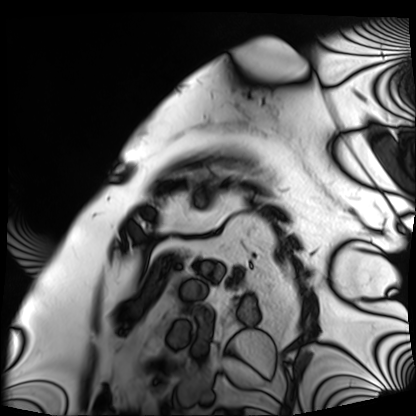
Cardiac MRI. Subject group: patient.